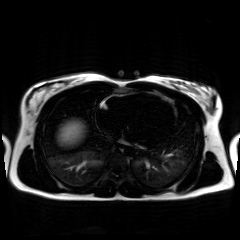
Q: What kind of scan is this?
A: Chemical-shift-encoded cardiac MRI.